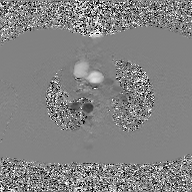
2D phase-contrast cine MRI of the ascending aorta, GAN super-resolution reconstruction.